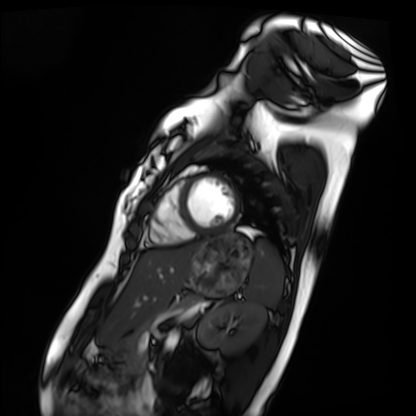
Cardiac MRI. Subject group: healthy volunteer.